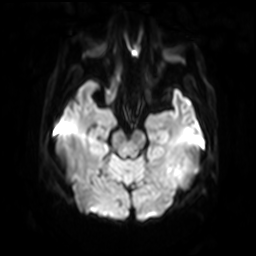
- modality · 3 Tesla brain MRI
- series · diffusion-weighted imaging with SENSE (WIP)
- study · ring-enhancing brain masses